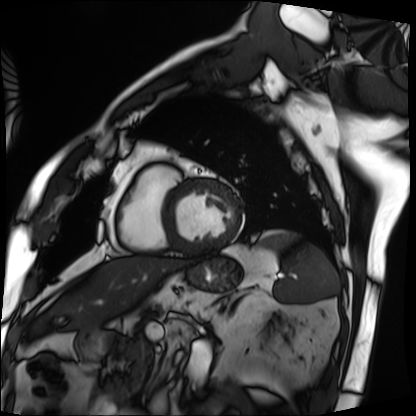
Cardiac MRI.
Subject group: patient.